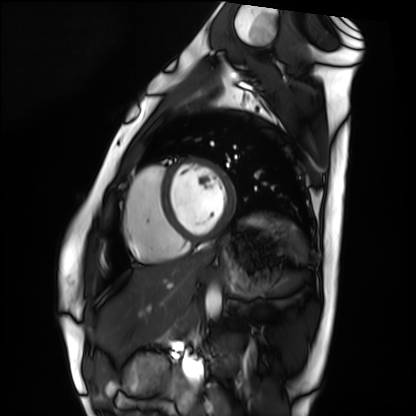
Cardiac MRI.
Subject group: healthy volunteer.